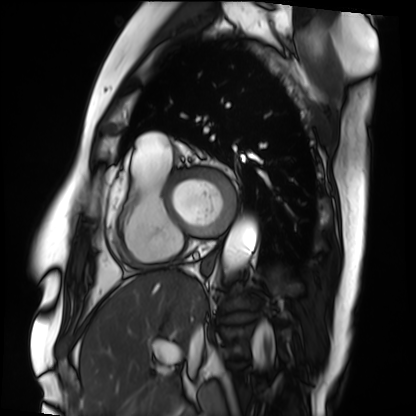
Cardiac MRI. Subject group: patient.